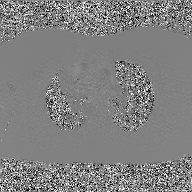
Clinical context:
2D phase-contrast cine MRI of the ascending aorta, GAN super-resolution reconstruction.